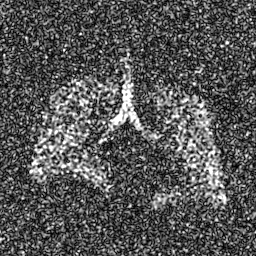
modality = hyperpolarized 129Xe ventilation MRI of the lungs.